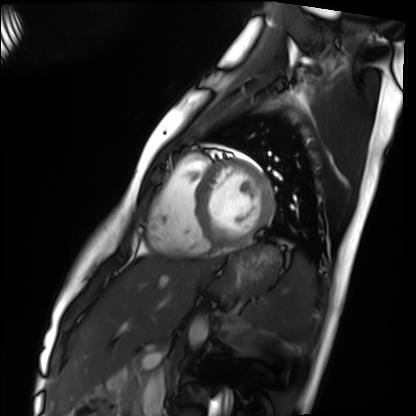
Cardiac MRI. Subject group: healthy volunteer.